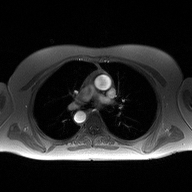
2D phase-contrast cine MRI of the ascending aorta, high-resolution GRAPPA acquisition.